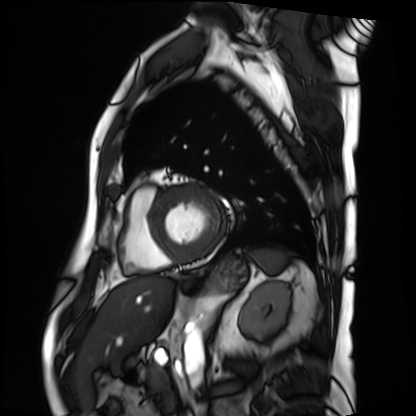
modality = cardiac MRI
subject group = patient